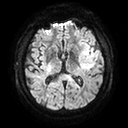
Q: What kind of scan is this?
A: 3 Tesla brain MRI.
Q: Series?
A: Diffusion tensor imaging (medium iso).
Study: ring-enhancing brain masses.